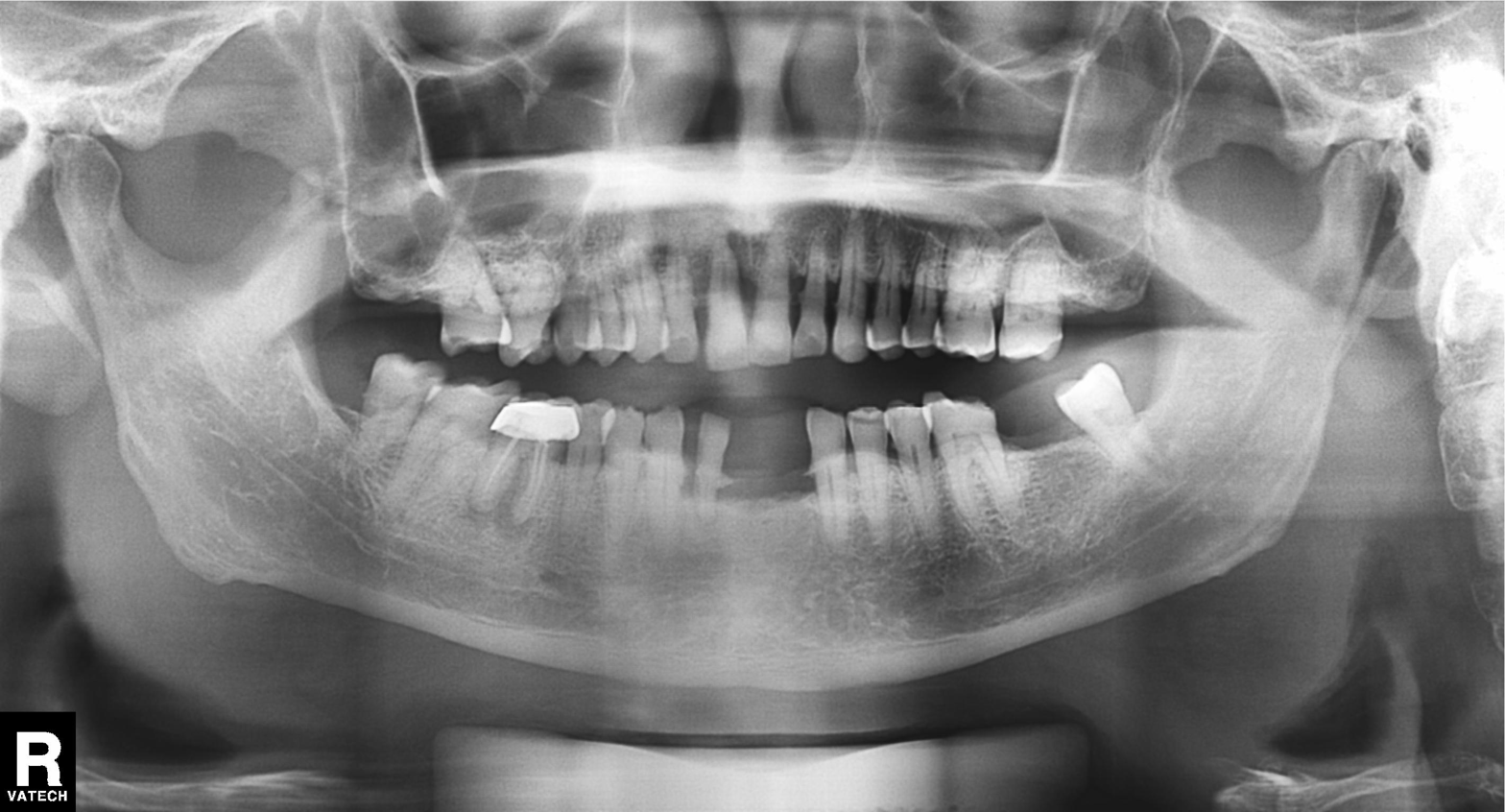
modality: panoramic dental radiograph (orthopantomogram)
finding: alveolar bone loss